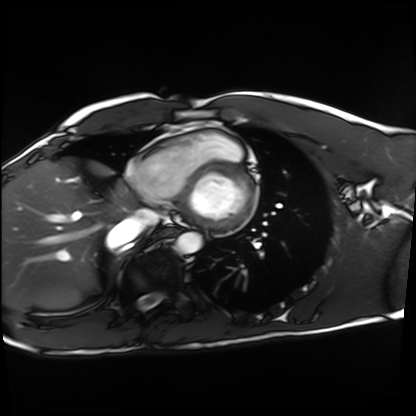
| field | value |
|---|---|
| modality | cardiac MRI |
| subject group | healthy volunteer |